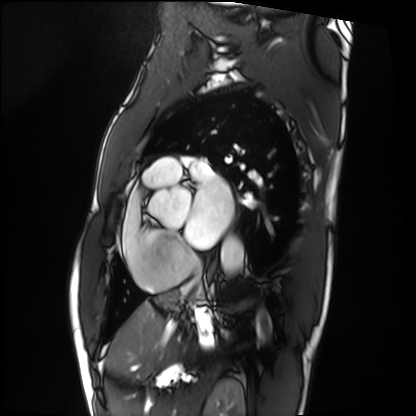
Clinical context:
Cardiac MRI. Subject group: patient.